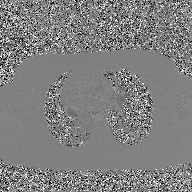
Summary: 2D phase-contrast cine MRI of the ascending aorta, GAN super-resolution reconstruction.